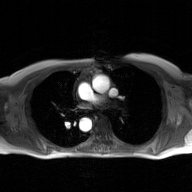
2D phase-contrast cine MRI of the ascending aorta, GAN super-resolution reconstruction.